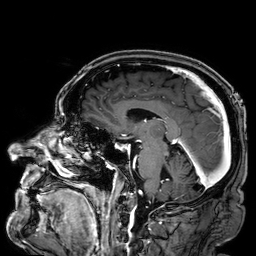
3 Tesla brain MRI. Series: 3D T1-weighted. Study: ring-enhancing brain masses.